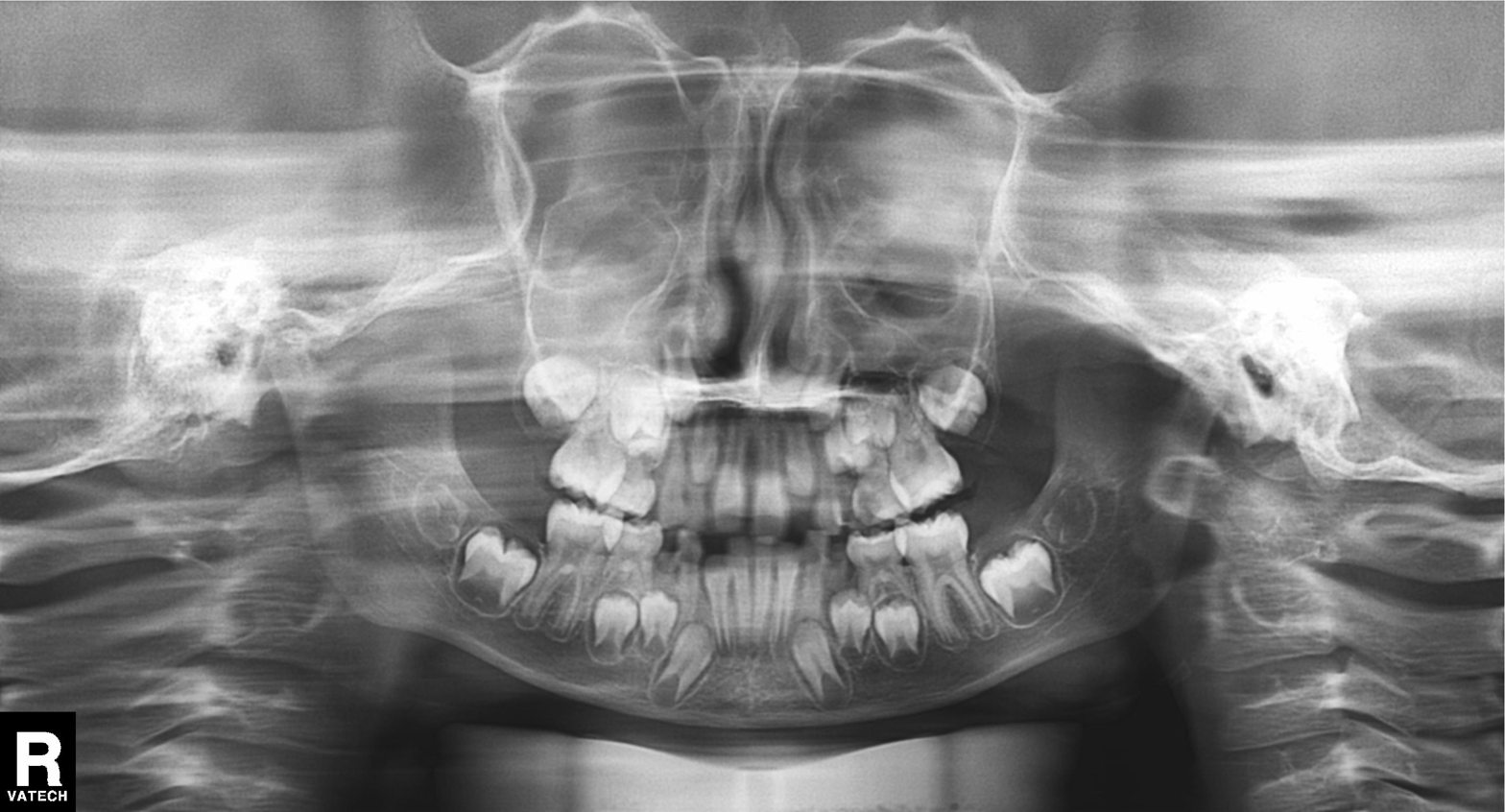
– modality · panoramic dental radiograph (orthopantomogram)
– finding · alveolar bone loss